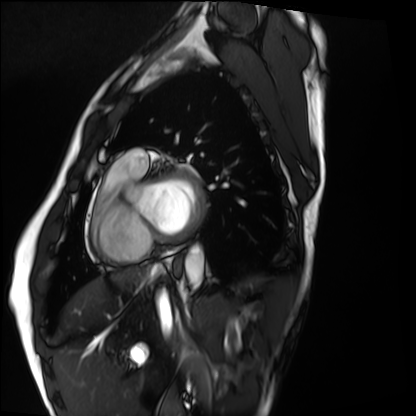
Cardiac MRI. Subject group: healthy volunteer.